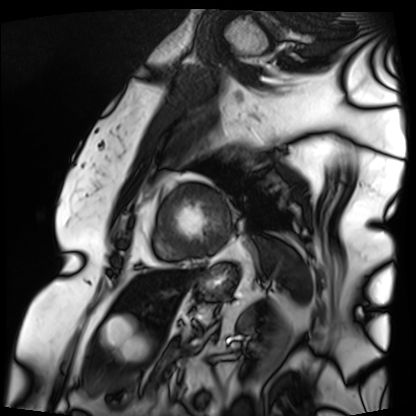
* modality · cardiac MRI
* subject group · patient